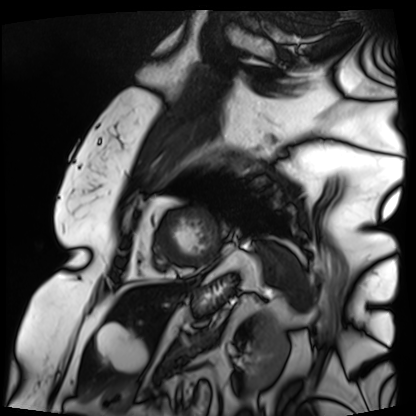
{
  "modality": "cardiac MRI",
  "cohort": "patient"
}